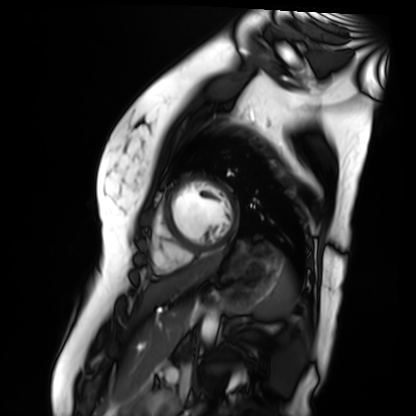
modality: cardiac MR image of the myocardium; subject cohort: healthy volunteer.